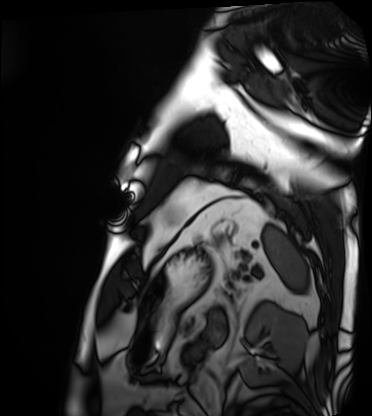
Case:
- modality · cardiac MRI
- subject group · patient